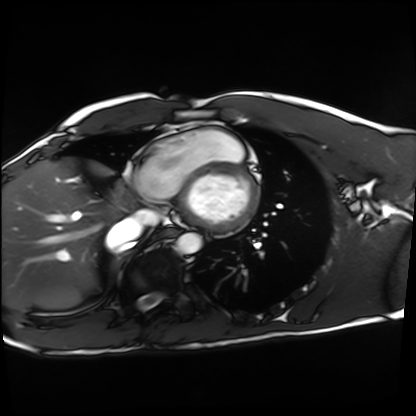
Cardiac MRI.
Subject group: healthy volunteer.